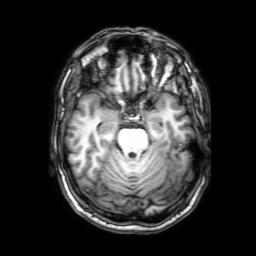
Summary: 3 Tesla brain MRI. Series: 3D T1-weighted with SENSE. Study: ring-enhancing brain masses.